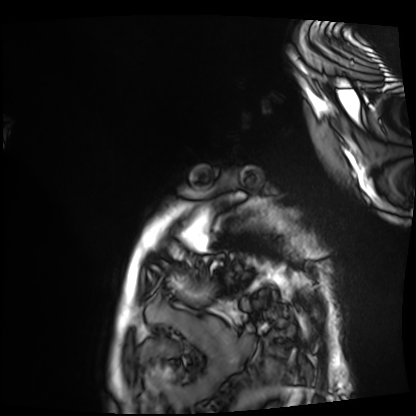
Cardiac MRI.
Subject group: patient.